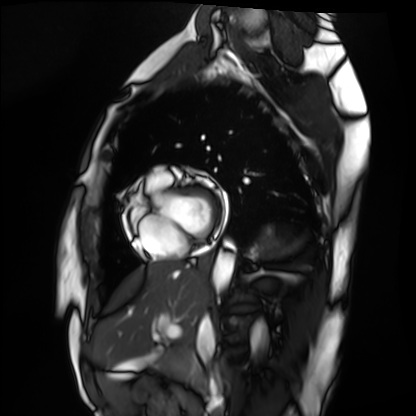
Cardiac MRI.
Subject group: healthy volunteer.